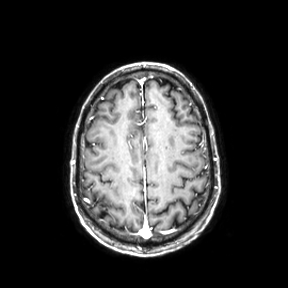
Clinical context:
3 Tesla brain MRI. Series: axial. Study: ring-enhancing brain masses.